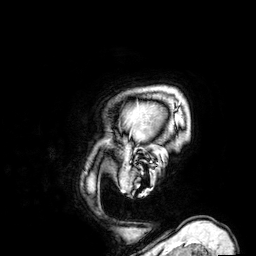
Case summary:
3 Tesla brain MRI. Series: 3D T1-weighted. Study: ring-enhancing brain masses.